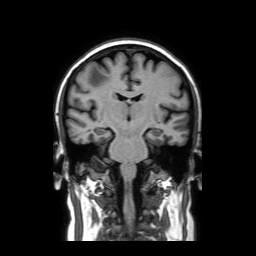
3 Tesla brain MRI.
Series: coronal without contrast.
Study: ring-enhancing brain masses.